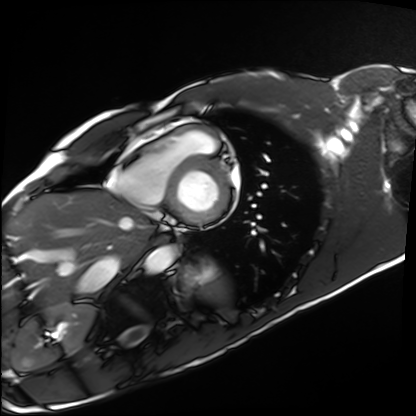
Summary:
Cardiac MRI. Subject group: healthy volunteer.